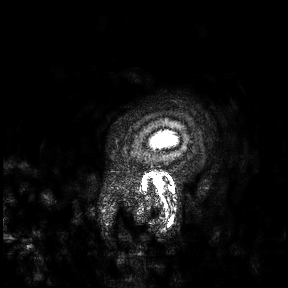
Case:
* modality · 3 Tesla brain MRI
* study · ring-enhancing brain masses